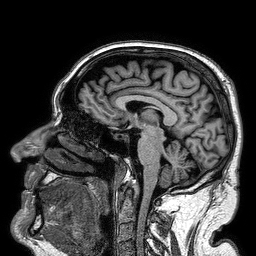
modality = 3 Tesla brain MRI | series = 3D T1-weighted turbo field echo | study = ring-enhancing brain masses.